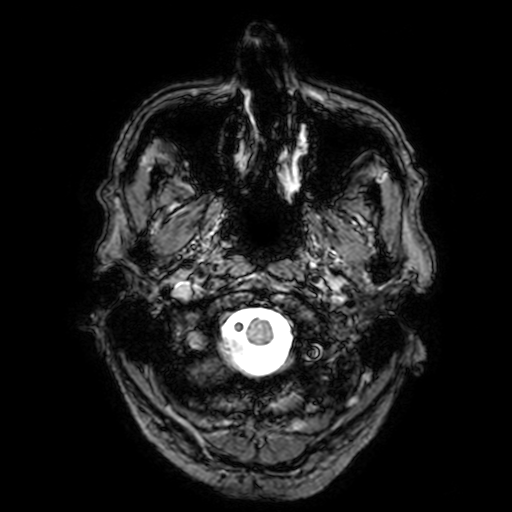
modality: 3 Tesla brain MRI; series: T2-weighted fast field echo with SENSE; study: ring-enhancing brain masses.